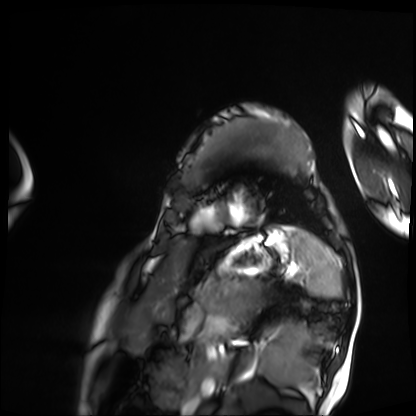
Cardiac MRI.
Subject group: patient.